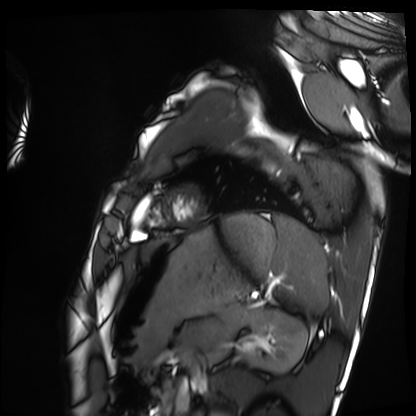
modality: cardiac MRI
subject group: healthy volunteer